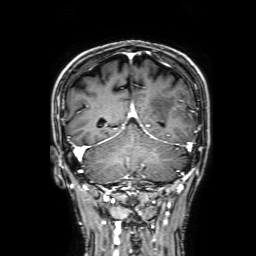
modality: 3 Tesla brain MRI
series: 3D T1-weighted with SENSE
study: ring-enhancing brain masses